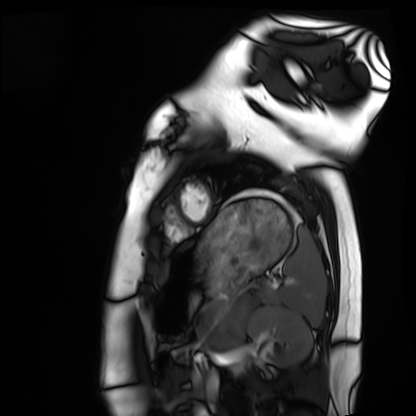
Cardiac MRI. Subject group: healthy volunteer.